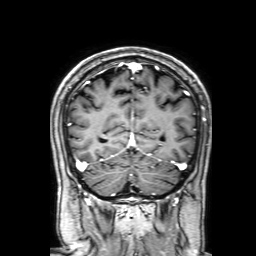
  modality:
    type: brain MRI
    field_strength: 3T
  series: 3D T1-weighted with SENSE
  study_topic: ring-enhancing brain masses